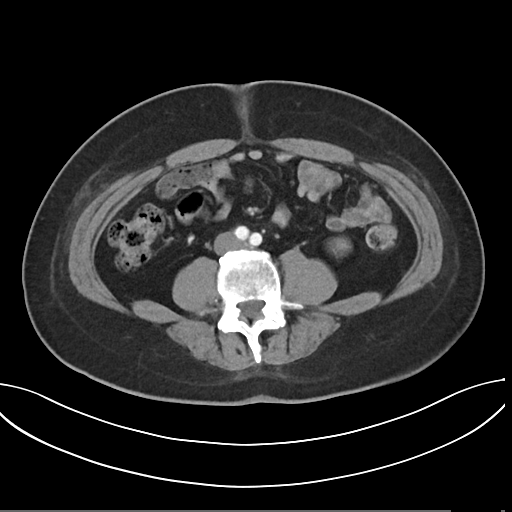
Multiphase abdominal CT, liver, arterial phase.
Patient: male, age 44.
History: prior chemotherapy.